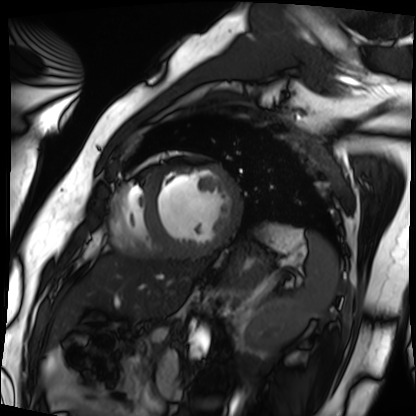
Summary: Cardiac MRI. Subject group: patient.